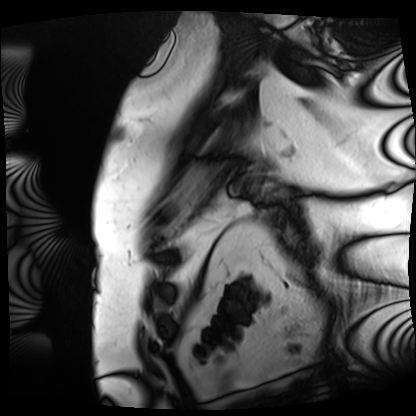
Cardiac MRI. Subject group: patient.